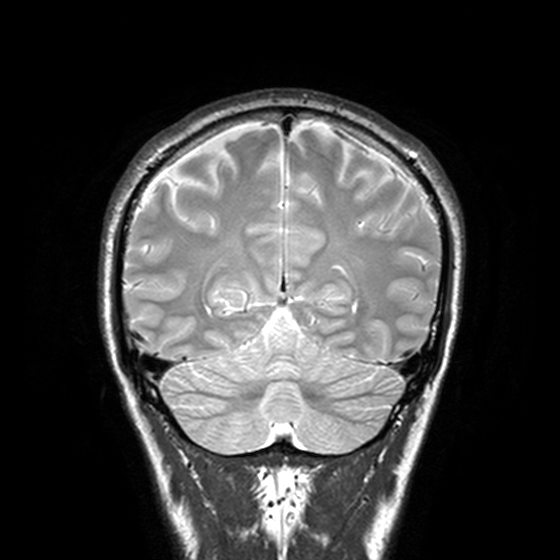
Summary:
3 Tesla brain MRI. Series: T2-weighted turbo spin echo, 3 mm. Study: ring-enhancing brain masses.